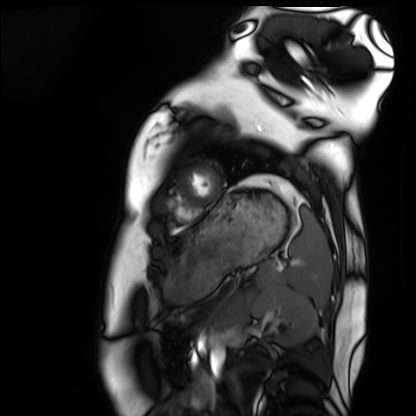
Summary: Cardiac MRI. Subject group: healthy volunteer.